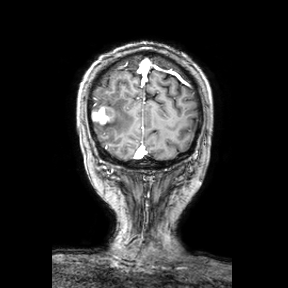
Summary: 3 Tesla brain MRI. Series: coronal. Study: ring-enhancing brain masses.